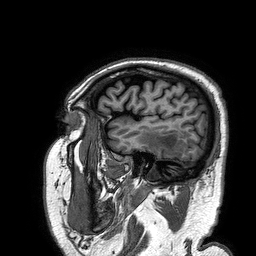
3 Tesla brain MRI. Series: 3D T1-weighted turbo field echo. Study: ring-enhancing brain masses.